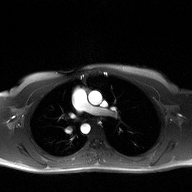
modality:
  type: 2D phase-contrast cine MRI
  region: ascending aorta
  reconstruction: high-resolution GRAPPA acquisition